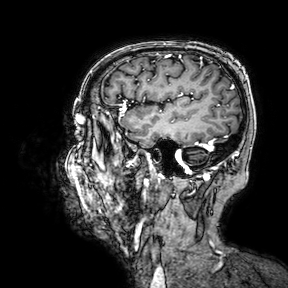
modality: 3 Tesla brain MRI
series: 3D T1-weighted turbo field echo with SENSE
study: ring-enhancing brain masses